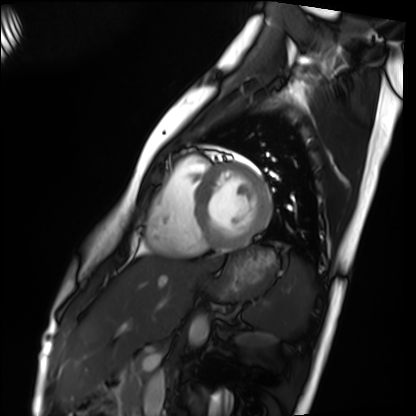
* modality: cardiac MRI
* subject group: healthy volunteer